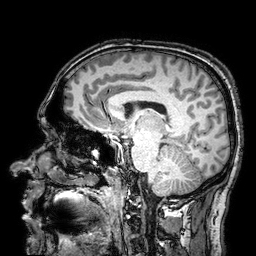
3 Tesla brain MRI. Series: 3D T1-weighted turbo field echo with SENSE. Study: ring-enhancing brain masses.